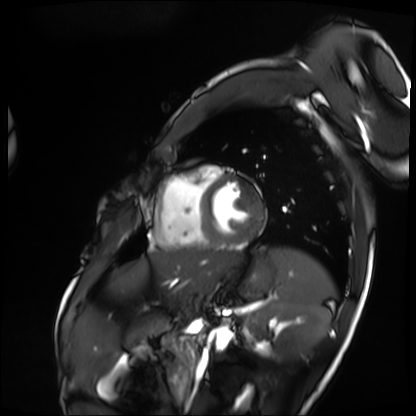
Q: What kind of scan is this?
A: Cardiac MRI.
Subject group: patient.